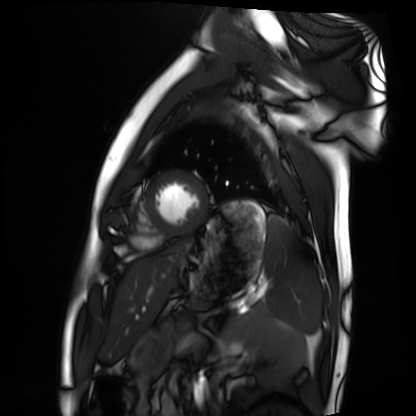
Clinical context: Cardiac MRI. Subject group: healthy volunteer.